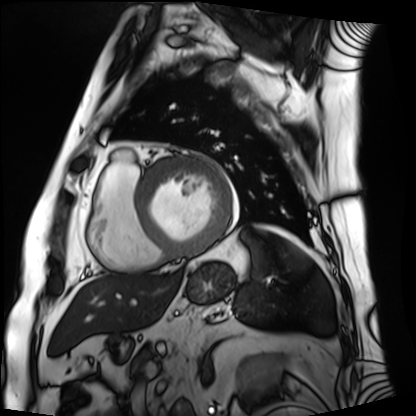
modality: cardiac MRI, subject group: patient.